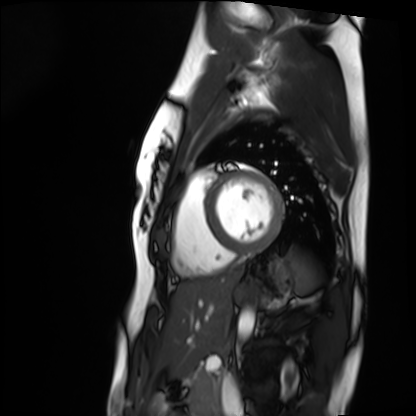
Cardiac MRI. Subject group: healthy volunteer.